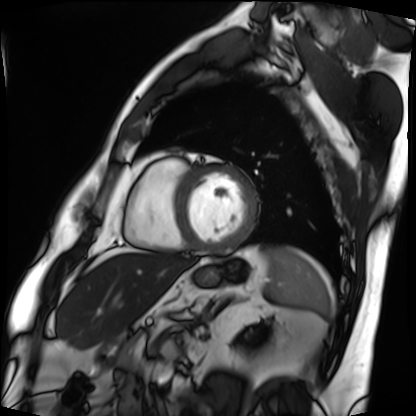
Cardiac MRI. Subject group: patient.